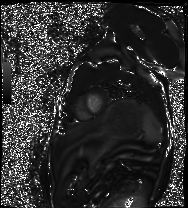
– modality · cardiac MRI
– subject group · healthy volunteer